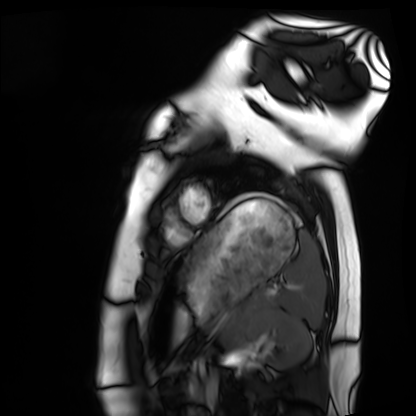
Cardiac MRI. Subject group: healthy volunteer.